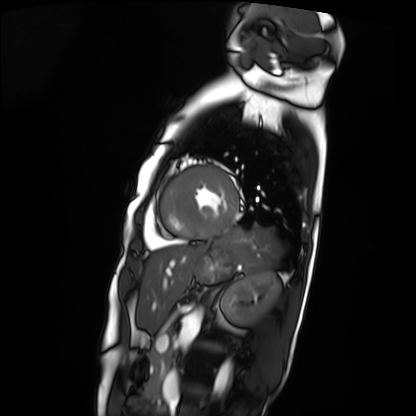
modality: cardiac MRI
subject group: patient